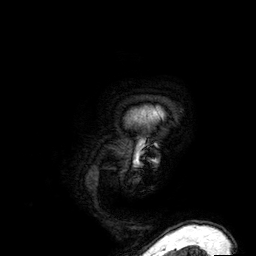
| field | value |
|---|---|
| modality | 3 Tesla brain MRI |
| series | 3D T1-weighted |
| study | ring-enhancing brain masses |